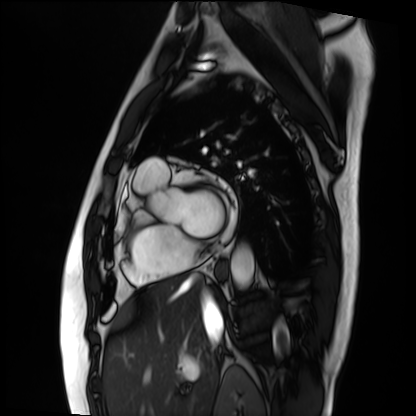
Q: What kind of scan is this?
A: Cardiac MRI.
Subject group: patient.